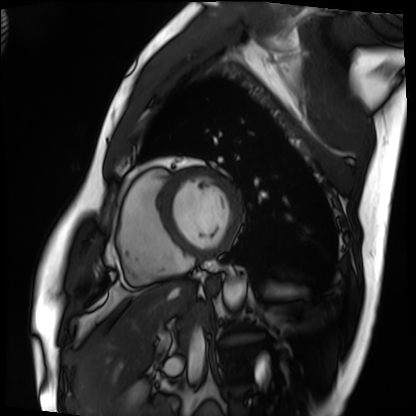
Cardiac MRI. Subject group: patient.